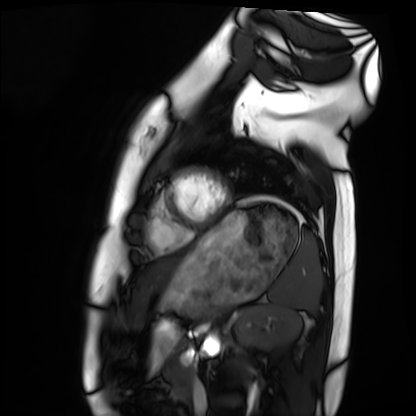
modality = cardiac MRI; subject group = healthy volunteer.